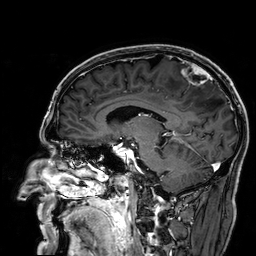
• modality — 3 Tesla brain MRI
• series — 3D T1-weighted
• study — ring-enhancing brain masses